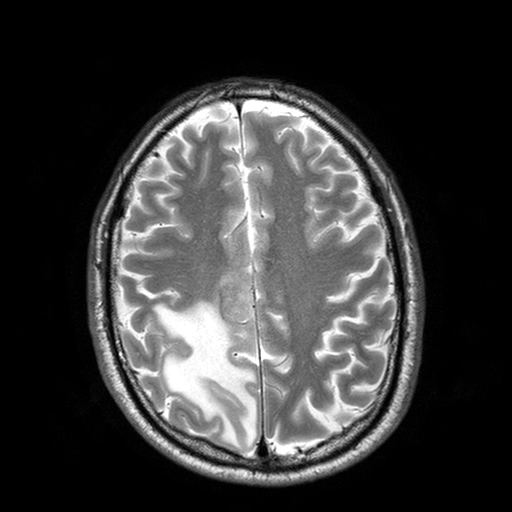
Q: What kind of scan is this?
A: 3 Tesla brain MRI.
Q: Series?
A: T2-weighted turbo spin echo with SENSE.
Study: ring-enhancing brain masses.